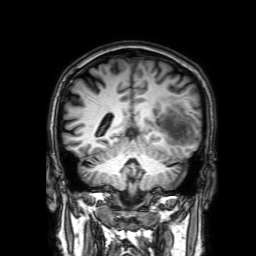
3 Tesla brain MRI. Series: 3D T1-weighted with SENSE. Study: ring-enhancing brain masses.